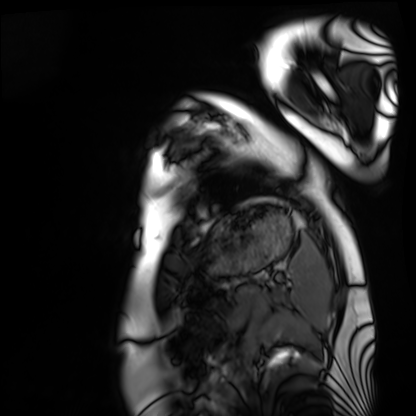
Cardiac MRI. Subject group: healthy volunteer.